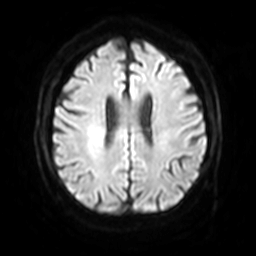
Case:
– modality — 3 Tesla brain MRI
– series — diffusion-weighted imaging with SENSE (WIP)
– study — ring-enhancing brain masses